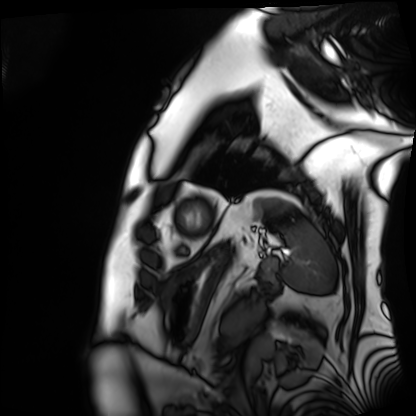
Summary:
Cardiac MRI. Subject group: patient.